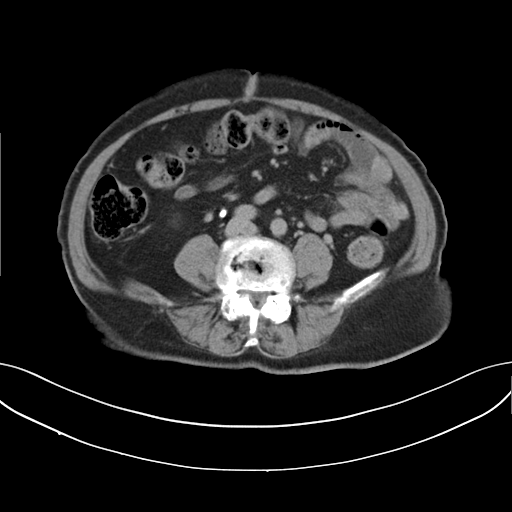
modality: multiphase abdominal CT, liver, delayed phase
patient: female, age 73
history: viral hepatitis